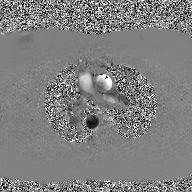
modality: 2D phase-contrast cine MRI of the ascending aorta, GAN super-resolution reconstruction